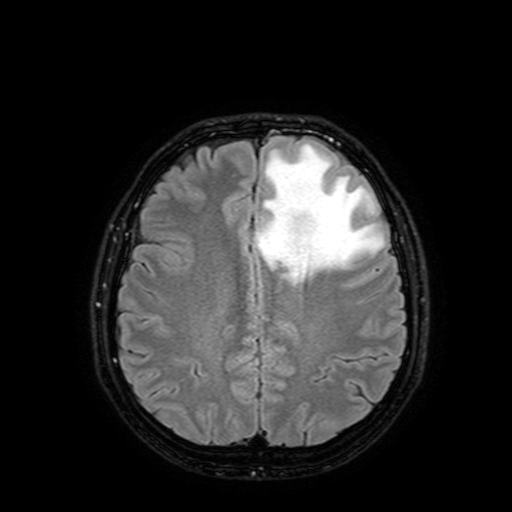
Q: What kind of scan is this?
A: 3 Tesla brain MRI.
Q: Series?
A: FLAIR with SPAIR, 3 mm.
Study: ring-enhancing brain masses.